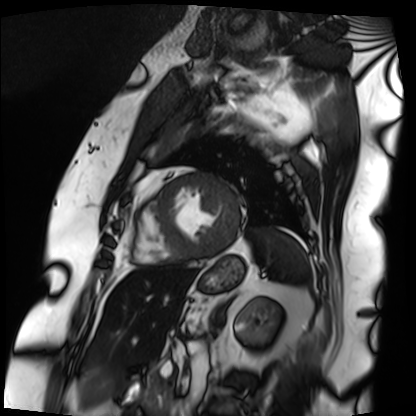
Q: What kind of scan is this?
A: Cardiac MRI.
Subject group: patient.